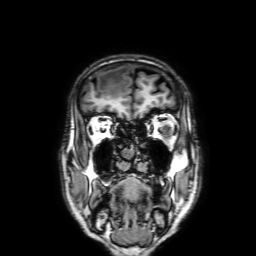
3 Tesla brain MRI. Study: ring-enhancing brain masses.